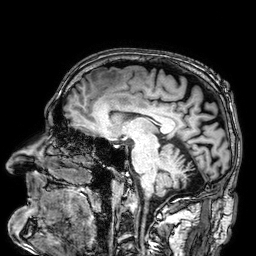
Clinical context:
3 Tesla brain MRI. Series: 3D T1-weighted. Study: ring-enhancing brain masses.